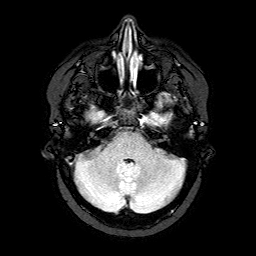
Summary:
3 Tesla brain MRI. Series: FLAIR with SPAIR. Study: ring-enhancing brain masses.